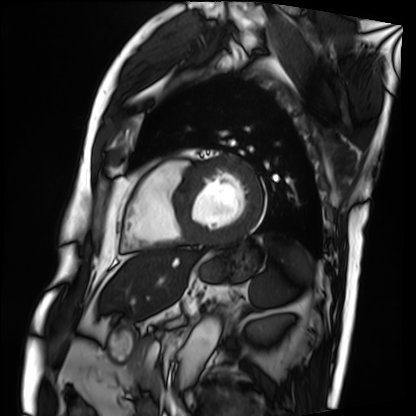
<case>
<modality>cardiac MRI</modality>
<cohort>patient</cohort>
</case>